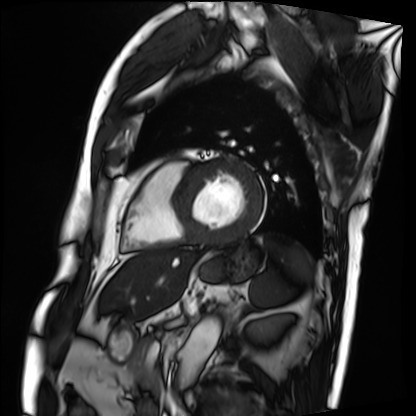
modality — cardiac MRI; subject group — patient.